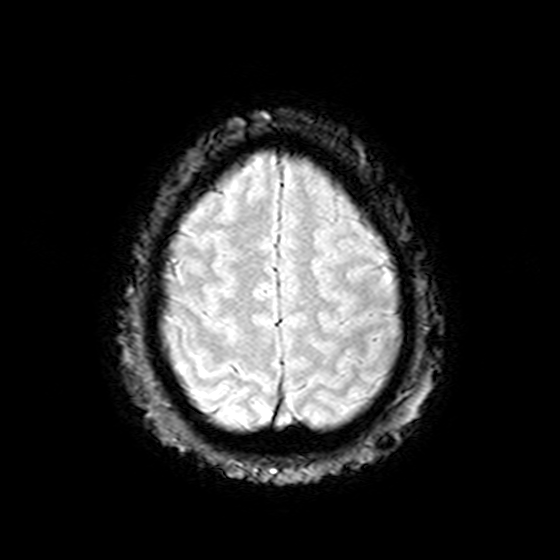
3 Tesla brain MRI. Series: T2-weighted fast field echo. Study: ring-enhancing brain masses.